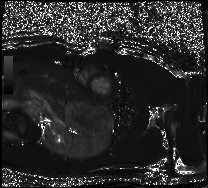
Cardiac MRI.
Subject group: healthy volunteer.